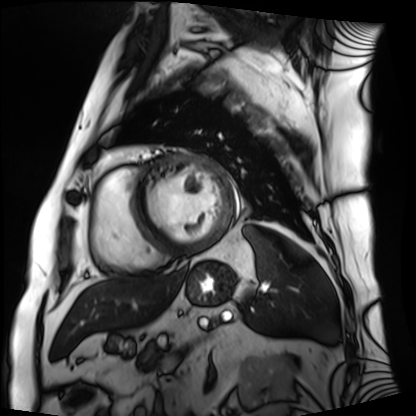
modality: cardiac MRI; subject group: patient.